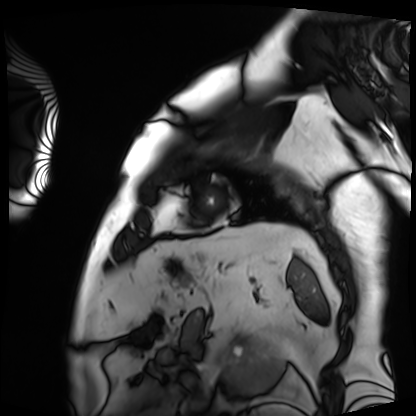
modality: cardiac MRI
cohort: patient